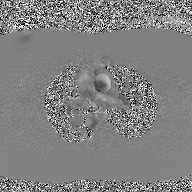
2D phase-contrast cine MRI of the ascending aorta, GAN super-resolution reconstruction.